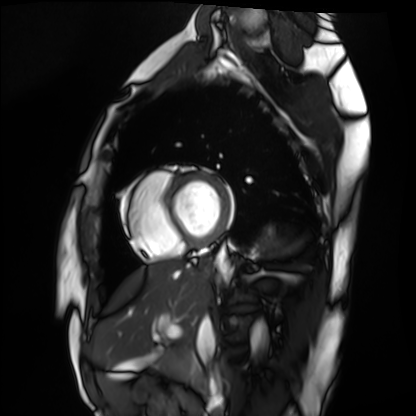
{"modality": "cardiac MRI", "cohort": "healthy volunteer"}